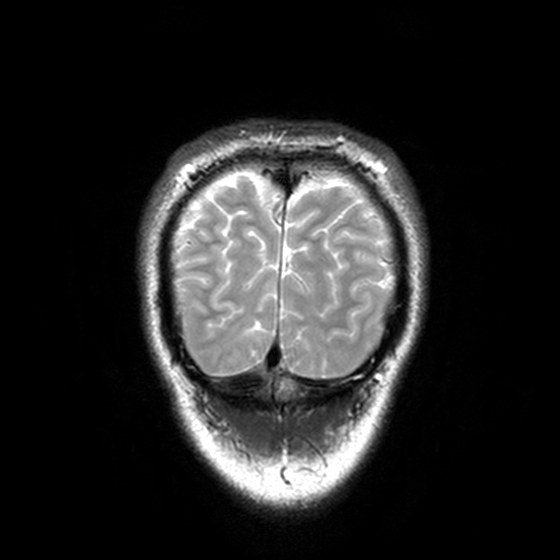
modality:
  type: brain MRI
  field_strength: 3T
series: T2-weighted turbo spin echo, 3 mm
study_topic: ring-enhancing brain masses